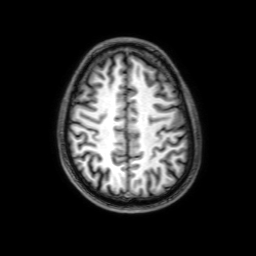
3 Tesla brain MRI. Series: 3D T1-weighted with SENSE. Study: ring-enhancing brain masses.